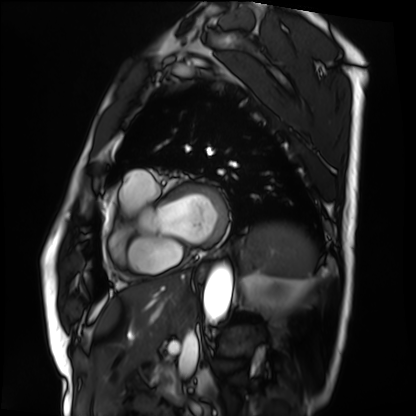
Cardiac MRI.
Subject group: patient.